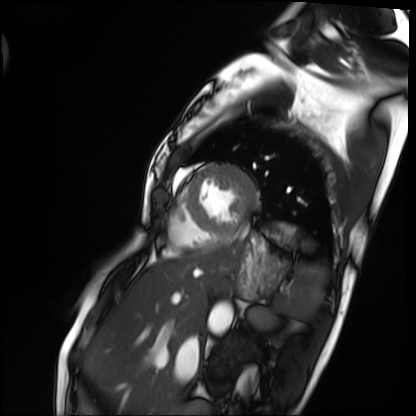
<record>
<modality>cardiac MRI</modality>
<cohort>patient</cohort>
</record>